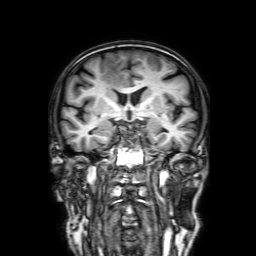
<case>
  <modality>
    <type>brain MRI</type>
    <field_strength>3T</field_strength>
  </modality>
  <series>3D T1-weighted with SENSE</series>
  <study_topic>ring-enhancing brain masses</study_topic>
</case>